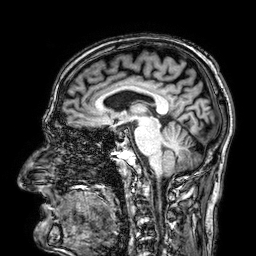
modality: 3 Tesla brain MRI | series: 3D T1-weighted | study: ring-enhancing brain masses.